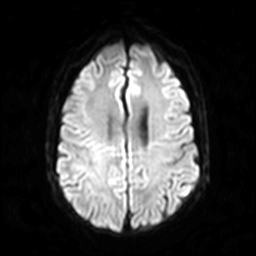
Case summary: 3 Tesla brain MRI. Series: diffusion-weighted imaging. Study: ring-enhancing brain masses.